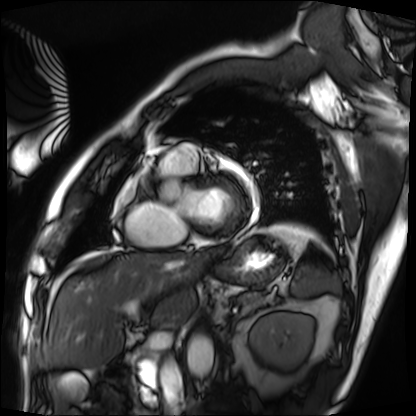
| field | value |
|---|---|
| modality | cardiac MRI |
| subject group | patient |